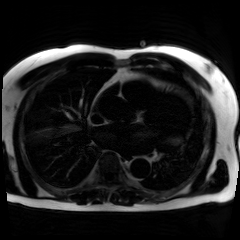
  modality: chemical-shift-encoded cardiac MRI